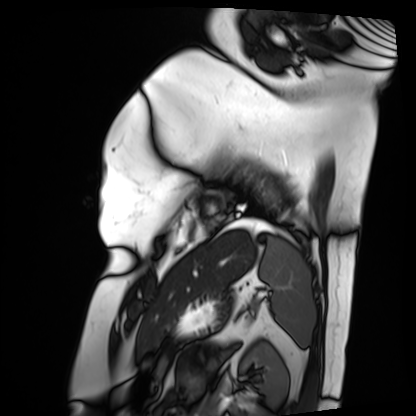
Cardiac MRI. Subject group: patient.